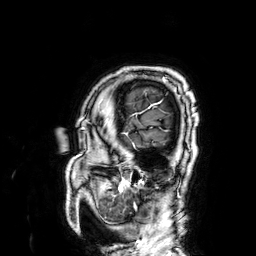
<record>
<modality>
  <type>brain MRI</type>
  <field_strength>3T</field_strength>
</modality>
<study_topic>ring-enhancing brain masses</study_topic>
</record>